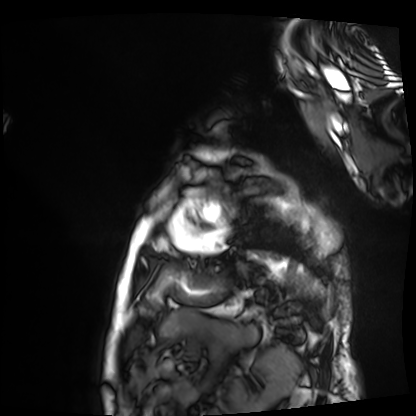
Q: What kind of scan is this?
A: Cardiac MRI.
Subject group: patient.